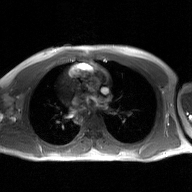
modality — 2D phase-contrast cine MRI of the ascending aorta, GAN super-resolution reconstruction